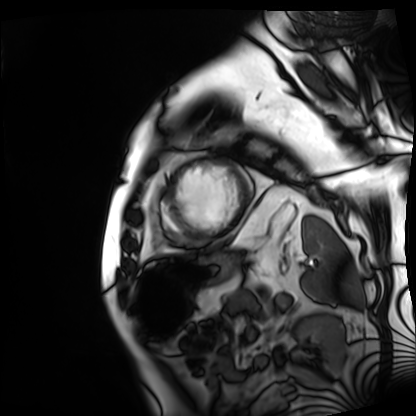
| field | value |
|---|---|
| modality | cardiac MRI |
| subject group | patient |